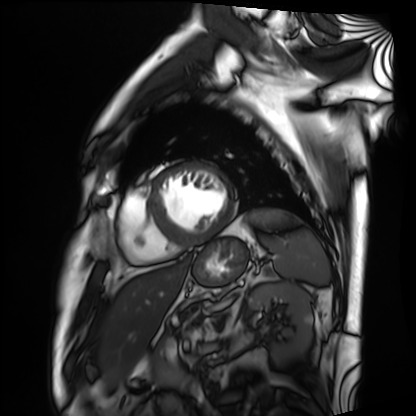
Cardiac MRI. Subject group: patient.